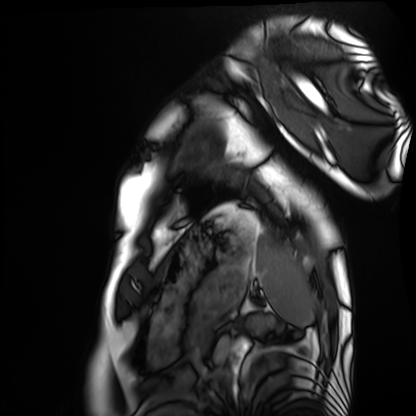
• modality · cardiac MRI
• subject group · healthy volunteer